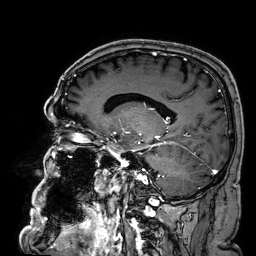
<case>
<modality>
  <type>brain MRI</type>
  <field_strength>3T</field_strength>
</modality>
<series>3D T1-weighted</series>
<study_topic>ring-enhancing brain masses</study_topic>
</case>